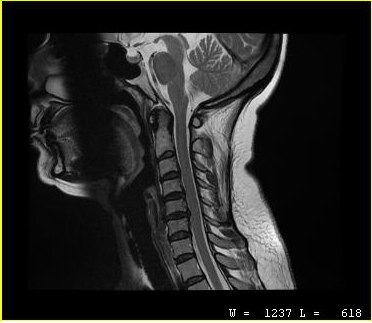
Q: What kind of scan is this?
A: MRI of the cervical spine.
Study: cervical spondylosis.